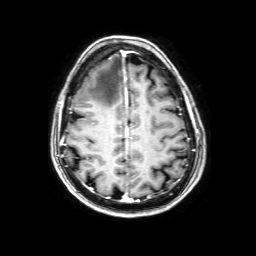
  modality:
    type: brain MRI
    field_strength: 3T
  series: 3D T1-weighted with SENSE
  study_topic: ring-enhancing brain masses